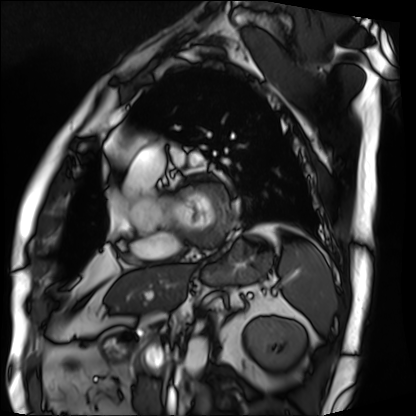
{"modality": "cardiac MRI", "cohort": "patient"}